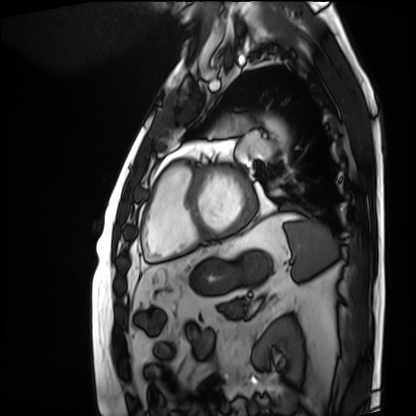
Cardiac MRI.
Subject group: patient.